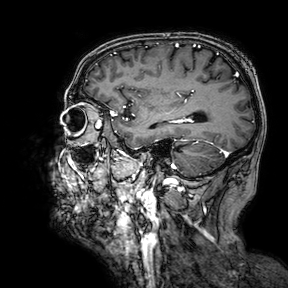
– modality — 3 Tesla brain MRI
– series — 3D T1-weighted turbo field echo with SENSE
– study — ring-enhancing brain masses